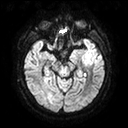
Summary: 3 Tesla brain MRI. Series: diffusion tensor imaging (medium iso). Study: ring-enhancing brain masses.